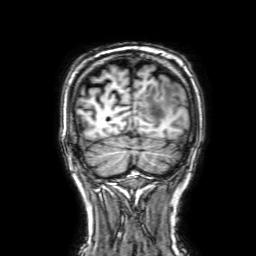
- modality · 3 Tesla brain MRI
- series · 3D T1-weighted with SENSE
- study · ring-enhancing brain masses